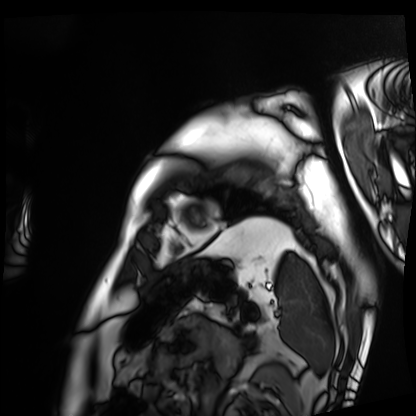
– modality — cardiac MRI
– subject group — patient